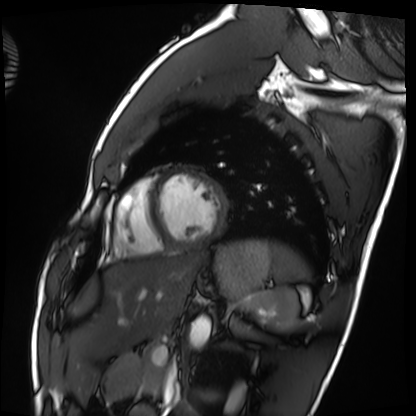
  modality: cardiac MRI
  cohort: healthy volunteer